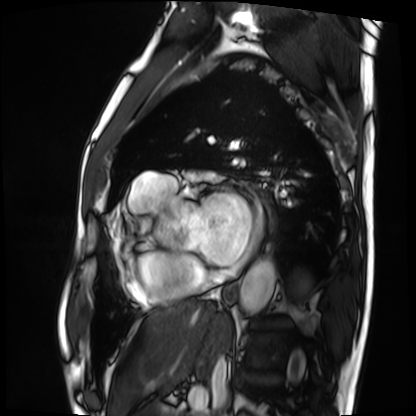
Cardiac MRI. Subject group: patient.